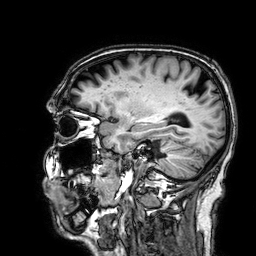
modality — 3 Tesla brain MRI
series — 3D T1-weighted
study — ring-enhancing brain masses